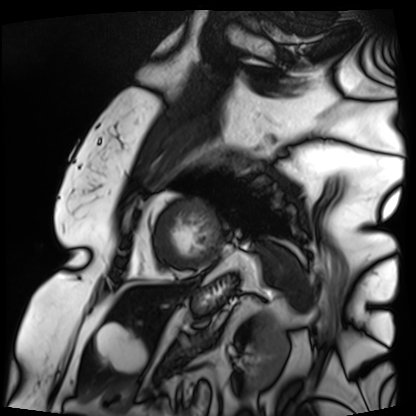
Cardiac MRI.
Subject group: patient.